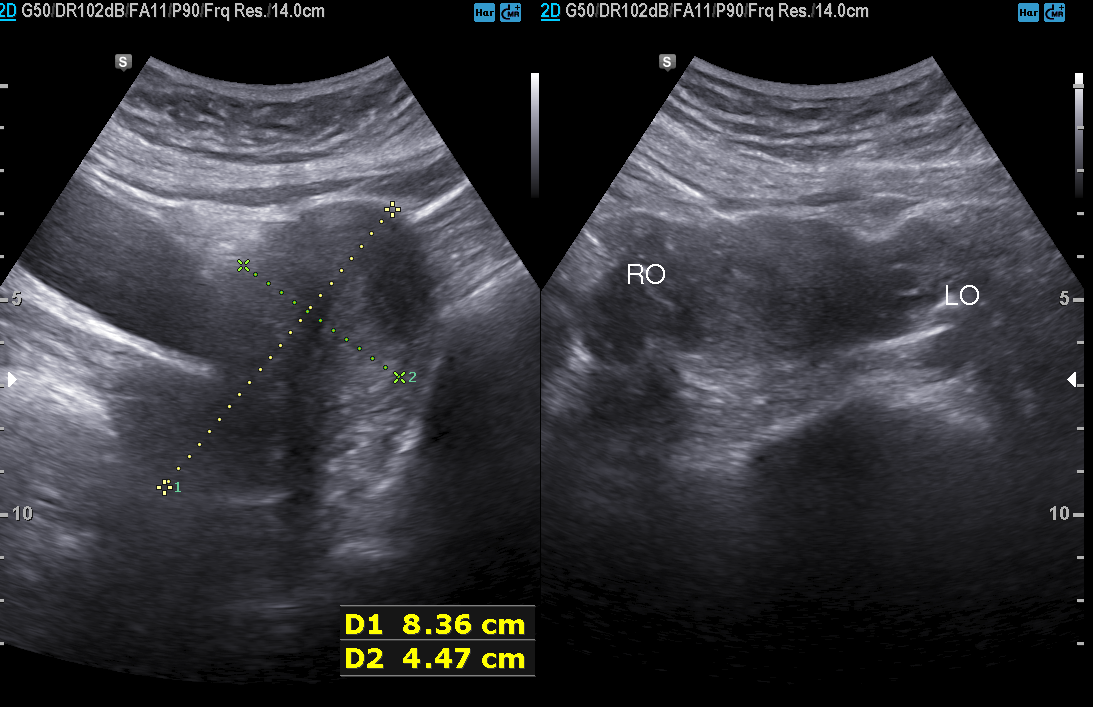
Genitourinary ultrasound.